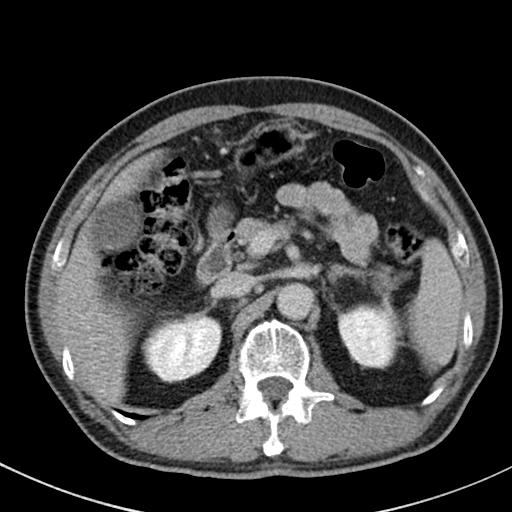
Clinical context:
Multiphase abdominal CT, liver, delayed phase. Patient: male, age 64.